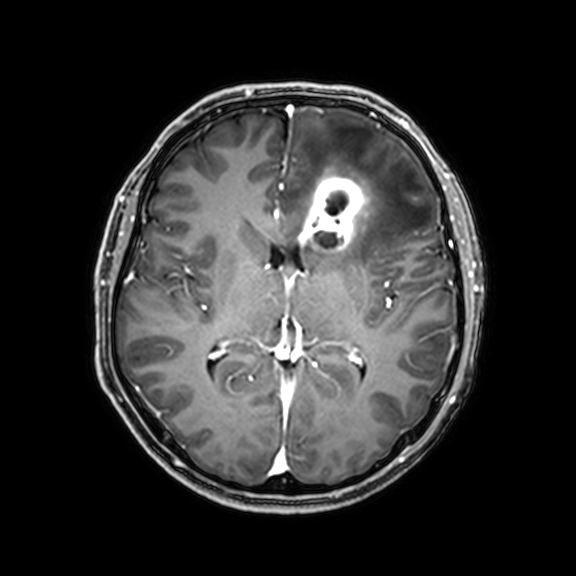
modality: 3 Tesla brain MRI | series: 3D T1-weighted with CLEAR | study: ring-enhancing brain masses.